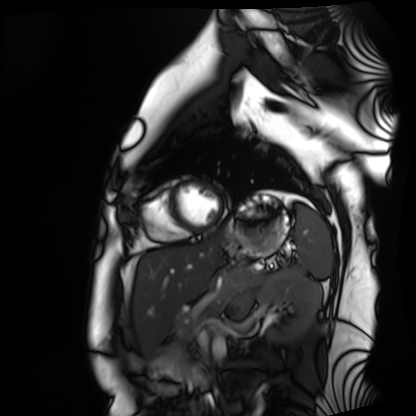
modality — cardiac MRI
subject group — healthy volunteer